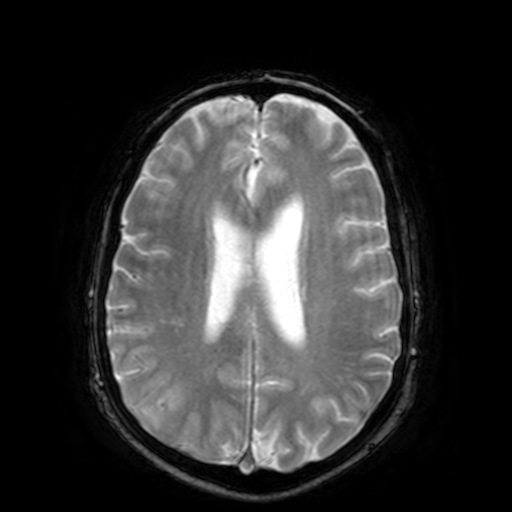
3 Tesla brain MRI.
Series: T2-weighted fast field echo.
Study: ring-enhancing brain masses.